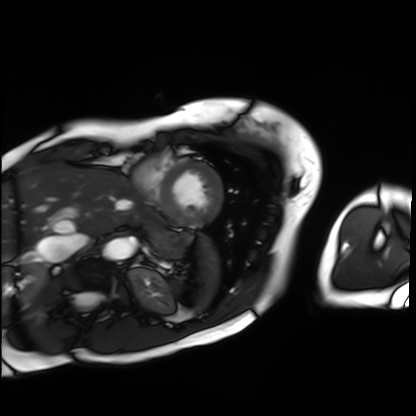
modality: cardiac MRI | subject group: patient.